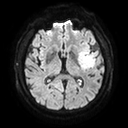
Summary:
3 Tesla brain MRI. Series: diffusion tensor imaging (medium iso). Study: ring-enhancing brain masses.